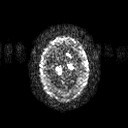
- modality — 3 Tesla brain MRI
- series — diffusion tensor imaging (medium iso)
- study — ring-enhancing brain masses